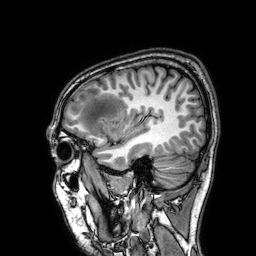
Summary:
3 Tesla brain MRI. Series: 3D T1-weighted. Study: ring-enhancing brain masses.